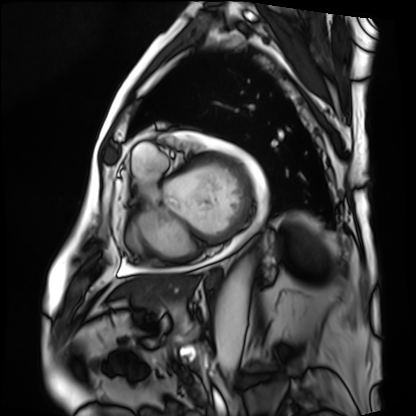
Cardiac MRI. Subject group: patient.